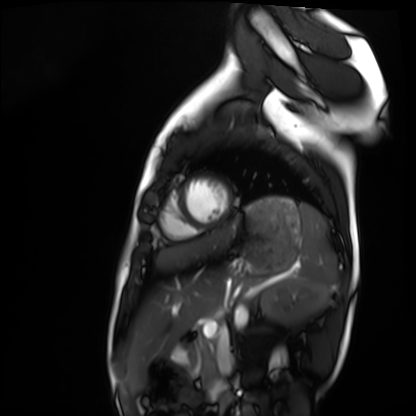
Q: What kind of scan is this?
A: Cardiac MRI.
Subject group: healthy volunteer.